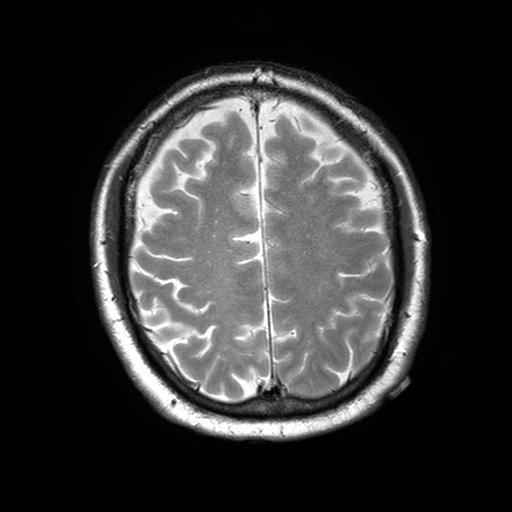
modality = 3 Tesla brain MRI
series = T2-weighted turbo spin echo with SENSE
study = ring-enhancing brain masses